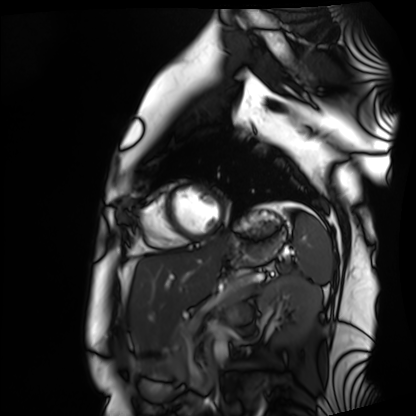
modality: cardiac MRI | subject group: healthy volunteer.